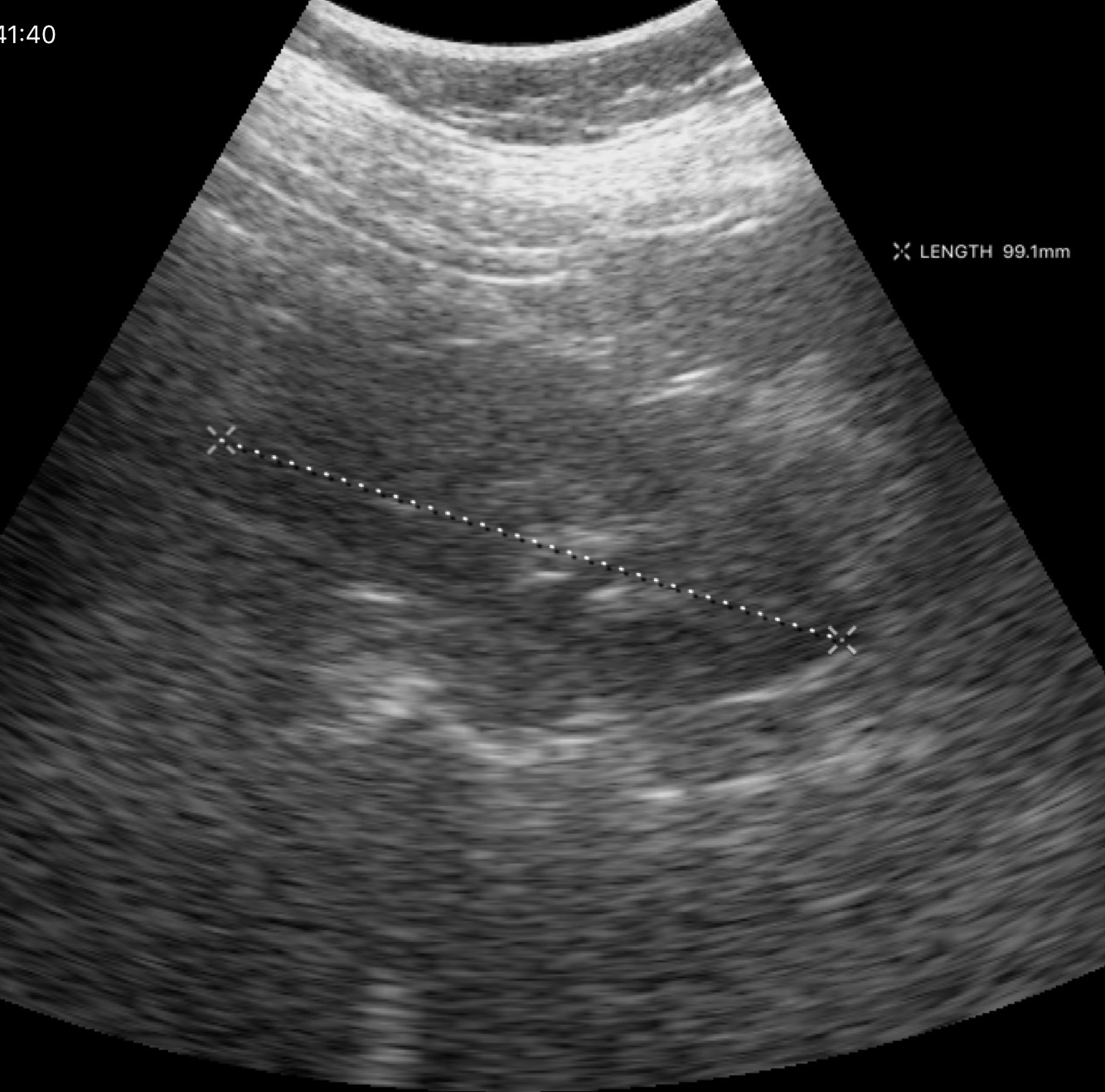
Summary: Genitourinary ultrasound.